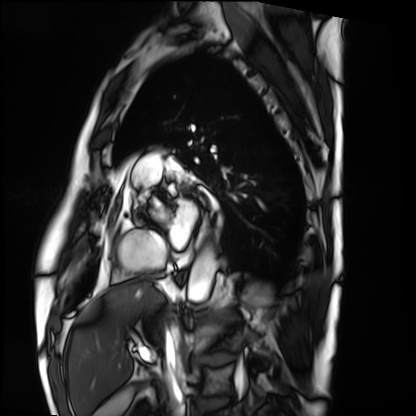
Cardiac MRI. Subject group: patient.